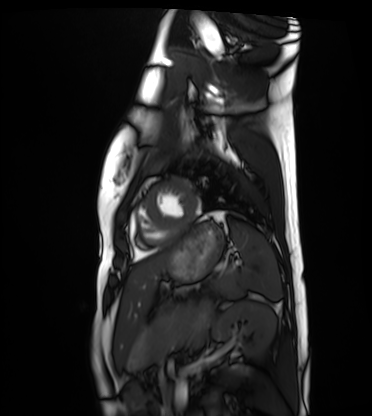
modality: cardiac MRI
cohort: healthy volunteer